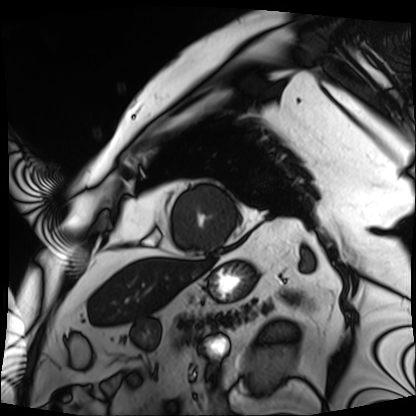
Q: What kind of scan is this?
A: Cardiac MRI.
Subject group: patient.